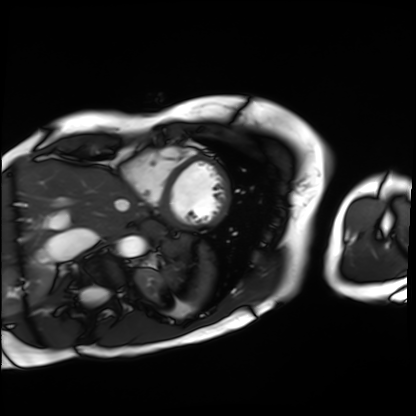
Clinical context:
Cardiac MRI. Subject group: patient.